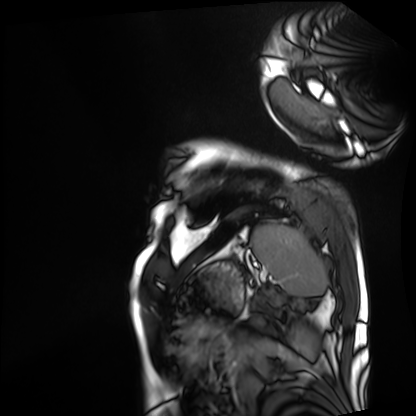
Case:
• modality — cardiac MRI
• subject group — patient